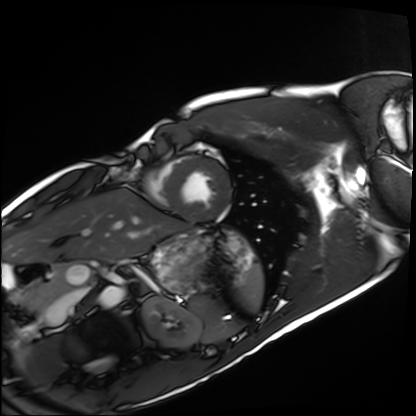
  modality: cardiac MRI
  cohort: healthy volunteer